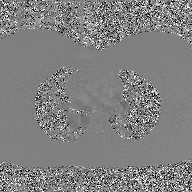
Q: What kind of scan is this?
A: 2D phase-contrast cine MRI of the ascending aorta, GAN super-resolution reconstruction.